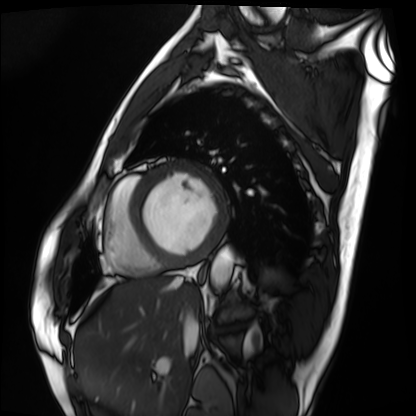
Cardiac MRI. Subject group: patient.